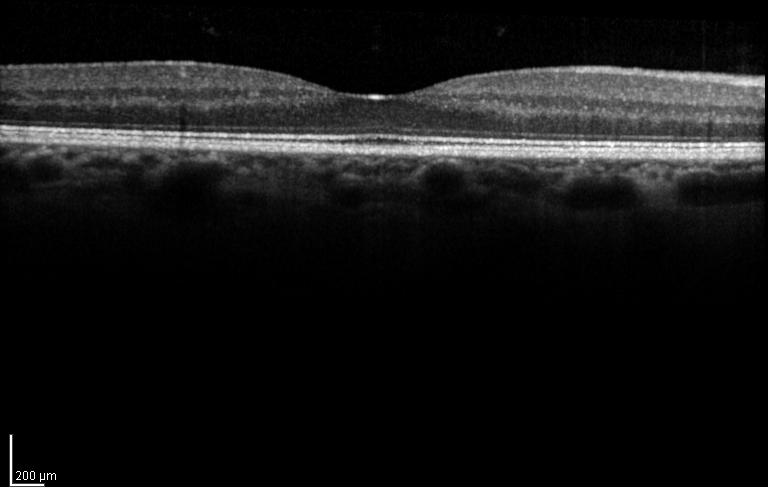
modality: spectral-domain optical coherence tomography (SD-OCT) of the macula | subject: female, age 56, right eye | cohort: diabetic subject | ETDRS-grid retinal thickness (μm): central 270, inner temporal 331, inner nasal 343, inner superior 347, inner inferior 337.